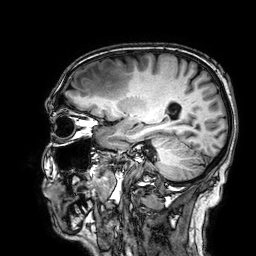
3 Tesla brain MRI. Study: ring-enhancing brain masses.